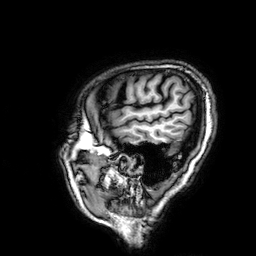
Clinical context:
3 Tesla brain MRI. Series: 3D T1-weighted. Study: ring-enhancing brain masses.